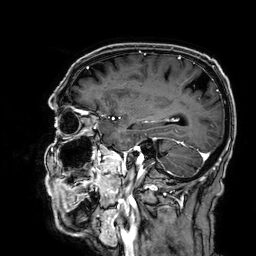
Clinical context:
3 Tesla brain MRI. Series: 3D T1-weighted. Study: ring-enhancing brain masses.